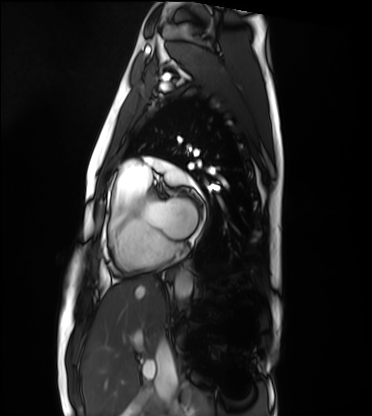
Cardiac MRI.
Subject group: healthy volunteer.